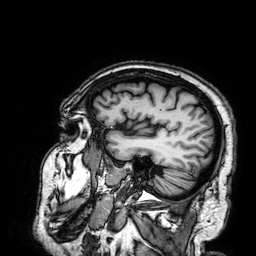
modality: 3 Tesla brain MRI | series: 3D T1-weighted | study: ring-enhancing brain masses.